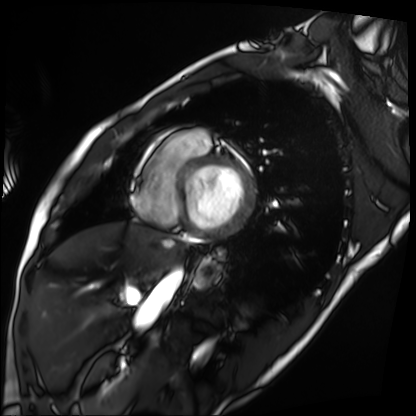
Cardiac MRI. Subject group: patient.